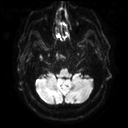
modality: 3 Tesla brain MRI | study: ring-enhancing brain masses.